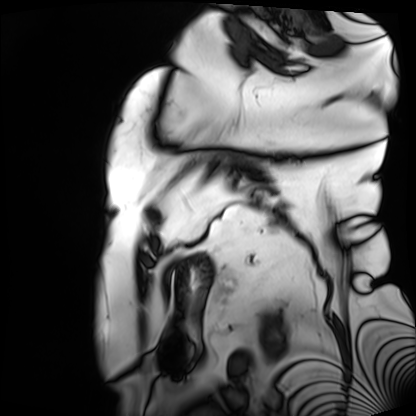
Case:
- modality · cardiac MRI
- subject group · patient